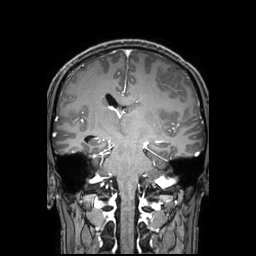
  modality:
    type: brain MRI
    field_strength: 3T
  series: 3D T1-weighted TFE with SENSE
  study_topic: ring-enhancing brain masses